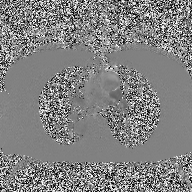
Summary:
2D phase-contrast cine MRI of the ascending aorta, high-resolution GRAPPA acquisition.